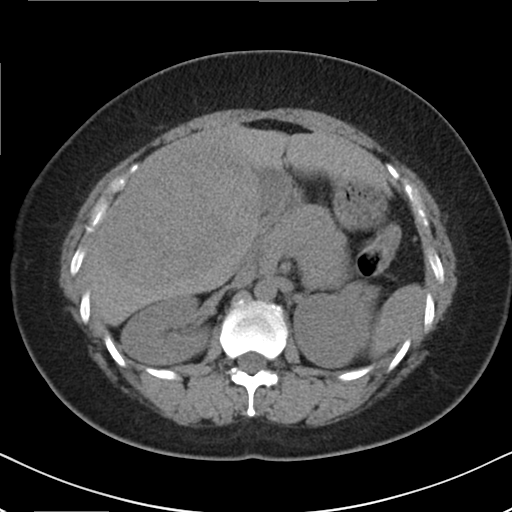
Case:
* modality: multiphase abdominal CT, liver, non-contrast phase
* patient: female, age 36
* history: viral hepatitis